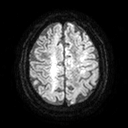
Case summary:
3 Tesla brain MRI. Study: ring-enhancing brain masses.